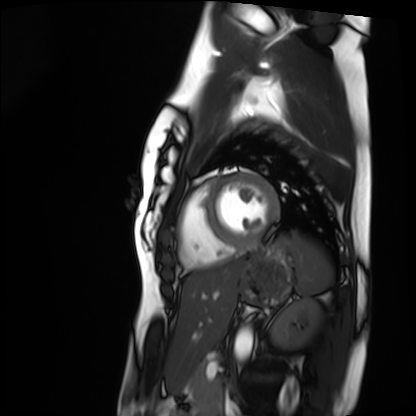
Cardiac MRI. Subject group: healthy volunteer.